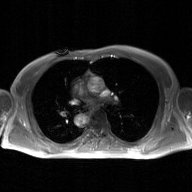
Clinical context:
2D phase-contrast cine MRI of the ascending aorta, GAN super-resolution reconstruction.